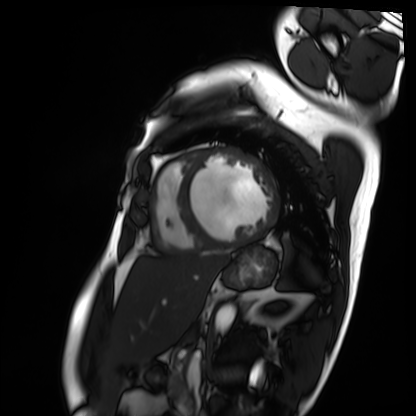
Summary:
Cardiac MRI. Subject group: patient.